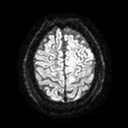
| field | value |
|---|---|
| modality | 3 Tesla brain MRI |
| series | diffusion tensor imaging (medium iso) |
| study | ring-enhancing brain masses |